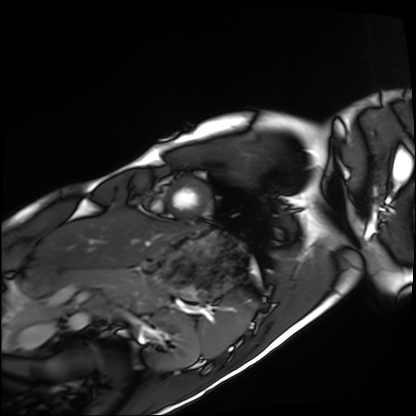
* modality · cardiac MRI
* subject group · healthy volunteer